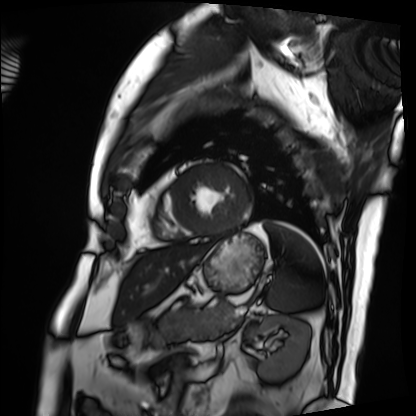
modality = cardiac MRI; subject group = patient.